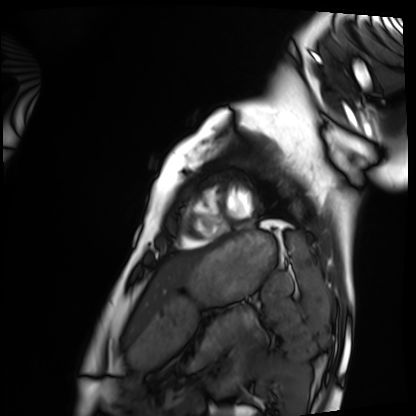
<study>
  <modality>cardiac MRI</modality>
  <cohort>healthy volunteer</cohort>
</study>